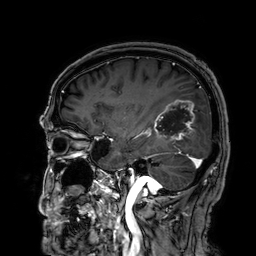
Q: What kind of scan is this?
A: 3 Tesla brain MRI.
Q: Series?
A: 3D T1-weighted.
Study: ring-enhancing brain masses.